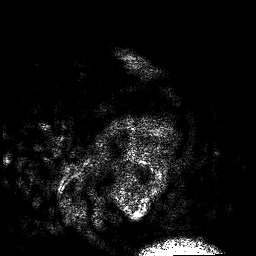
Summary: 3 Tesla brain MRI. Series: 3D T1-weighted. Study: ring-enhancing brain masses.